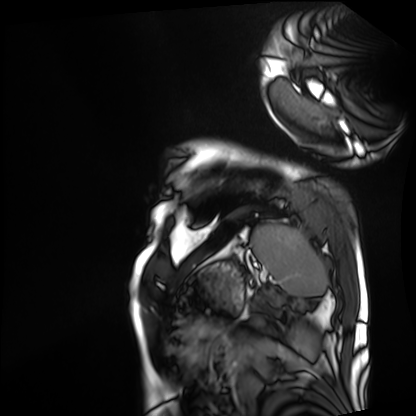
Cardiac MRI.
Subject group: patient.